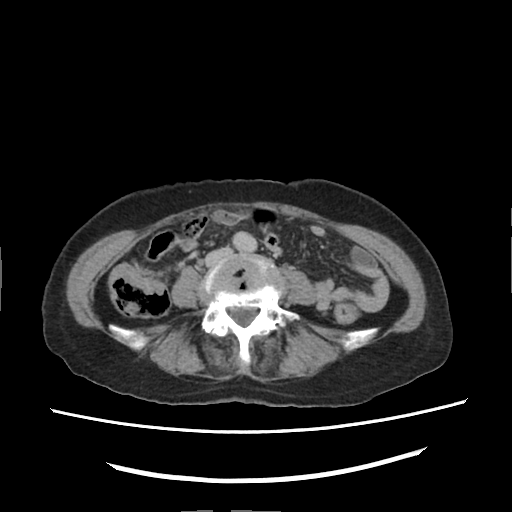
Summary: Multiphase abdominal CT, liver, delayed phase.